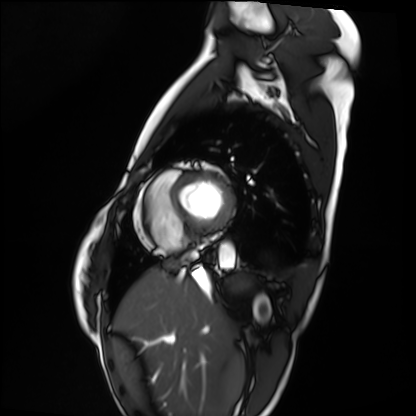
{"modality": "cardiac MRI", "cohort": "healthy volunteer"}